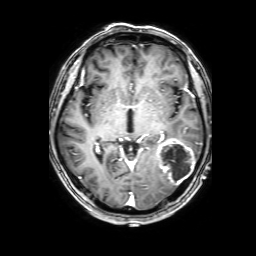
Case summary: 3 Tesla brain MRI. Series: 3D T1-weighted with SENSE. Study: ring-enhancing brain masses.